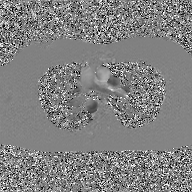
{"modality": {"type": "2D phase-contrast cine MRI", "region": "ascending aorta", "reconstruction": "GAN super-resolution reconstruction"}}